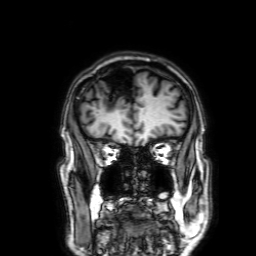
3 Tesla brain MRI.
Series: 3D T1-weighted with SENSE.
Study: ring-enhancing brain masses.